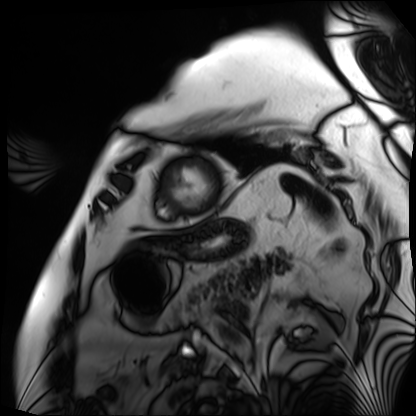
modality = cardiac MRI; subject group = patient.